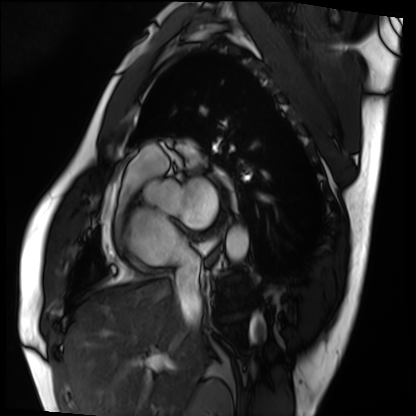
modality: cardiac MRI | subject group: patient.